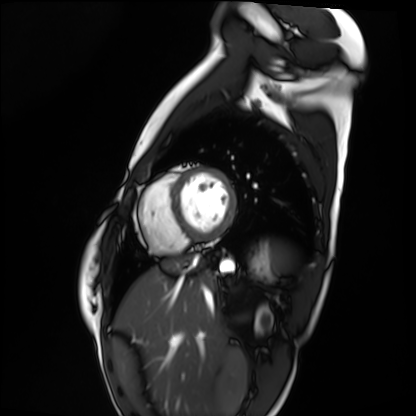
Q: What kind of scan is this?
A: Cardiac MRI.
Subject group: healthy volunteer.